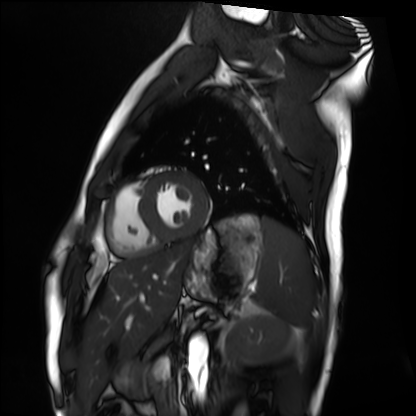
modality: cardiac MRI
cohort: healthy volunteer